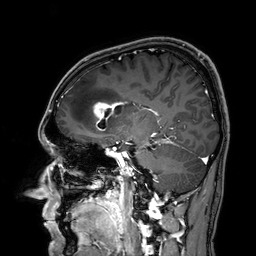
* modality: 3 Tesla brain MRI
* series: 3D T1-weighted
* study: ring-enhancing brain masses